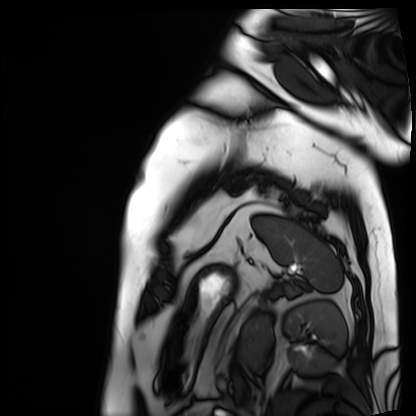
Cardiac MRI. Subject group: patient.